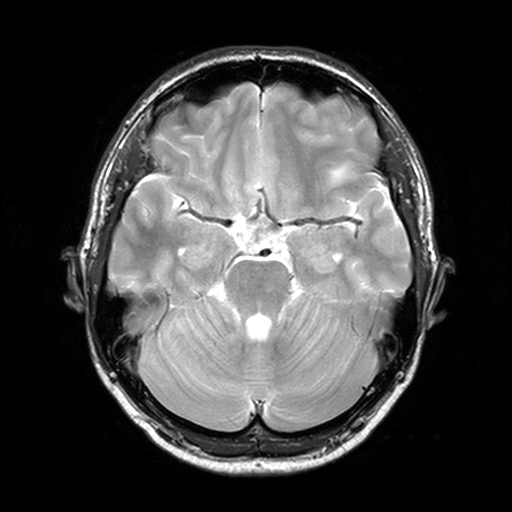
3 Tesla brain MRI. Study: ring-enhancing brain masses.